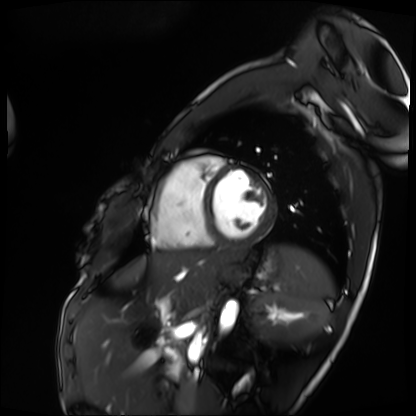
Cardiac MRI.
Subject group: patient.